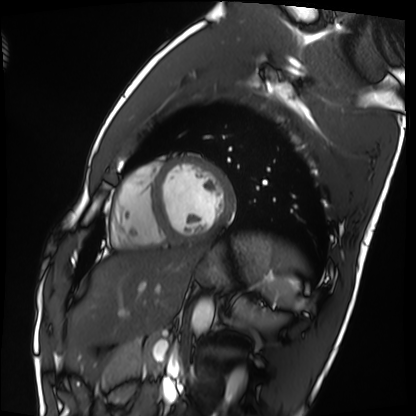
Cardiac MRI.
Subject group: healthy volunteer.